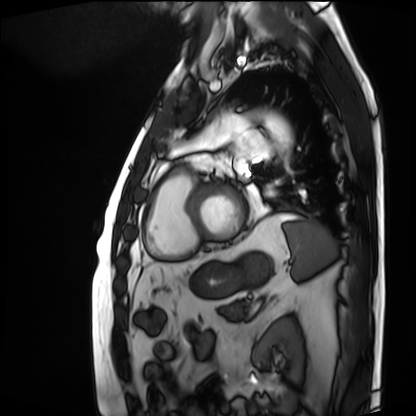
Cardiac MRI.
Subject group: patient.